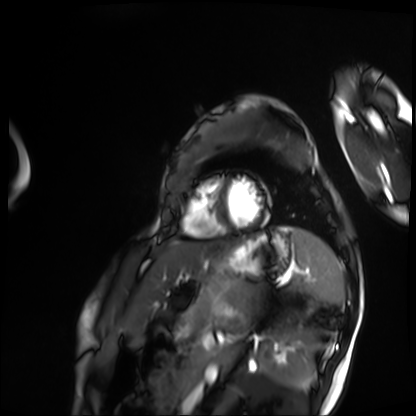
Clinical context: Cardiac MRI. Subject group: patient.